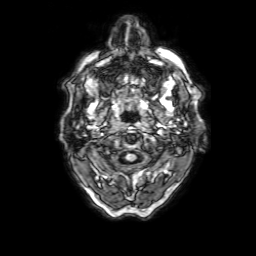
modality — 3 Tesla brain MRI; series — 3D T1-weighted with SENSE; study — ring-enhancing brain masses.